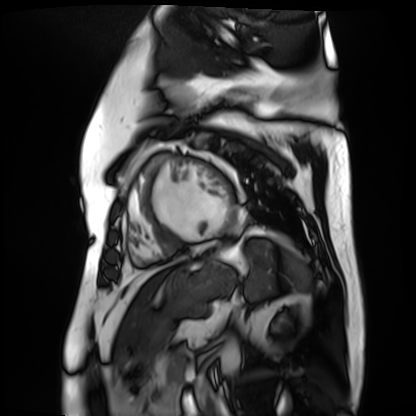
  modality: cardiac MR image of the myocardium
  cohort: cardiac patient